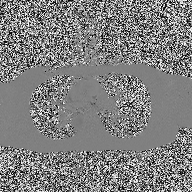
Q: What kind of scan is this?
A: 2D phase-contrast cine MRI of the ascending aorta.